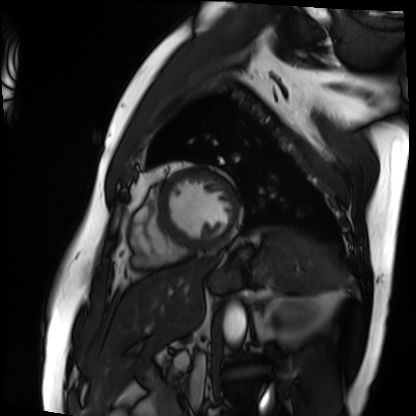
Summary:
Cardiac MRI. Subject group: patient.